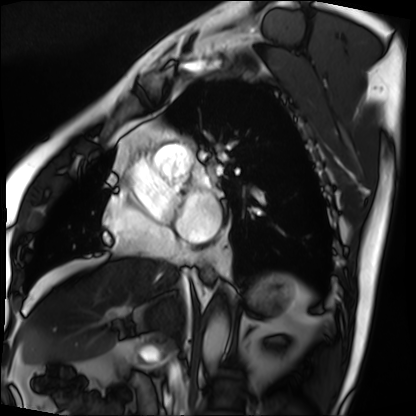
Cardiac MRI.
Subject group: patient.